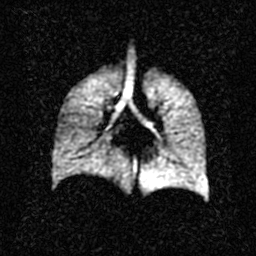
Hyperpolarized 129Xe ventilation MRI of the lungs. SNR level 2 of 8 (the deposit holds this scan as its native image and as seven SNR-degraded versions).